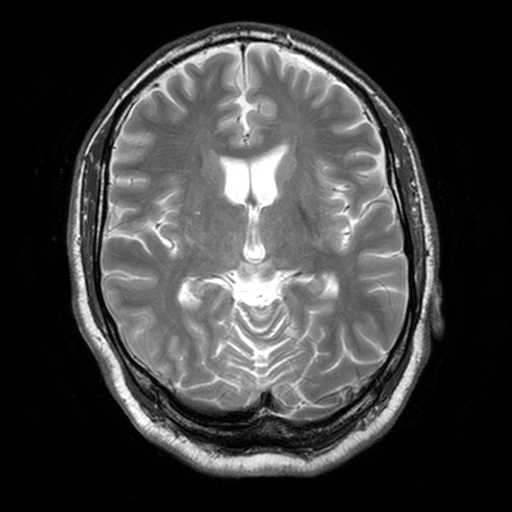
3 Tesla brain MRI. Study: ring-enhancing brain masses.